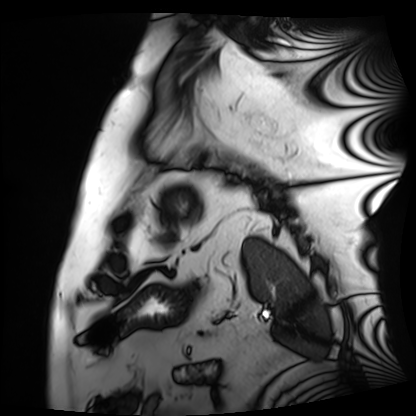
• modality · cardiac MRI
• subject group · patient